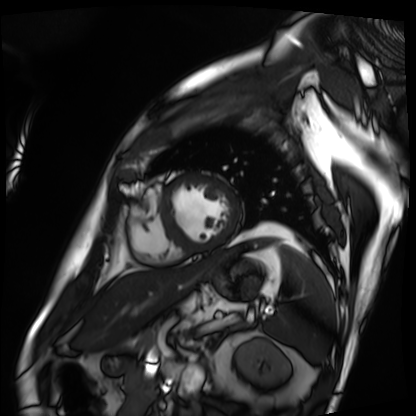
Cardiac MRI. Subject group: patient.